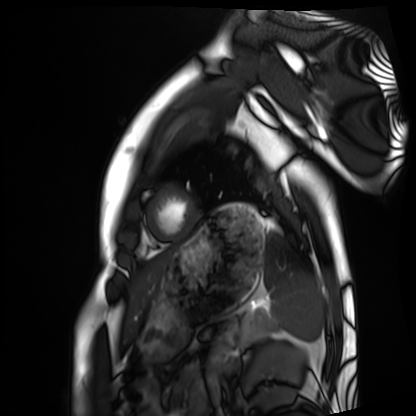
modality — cardiac MRI | subject group — healthy volunteer.